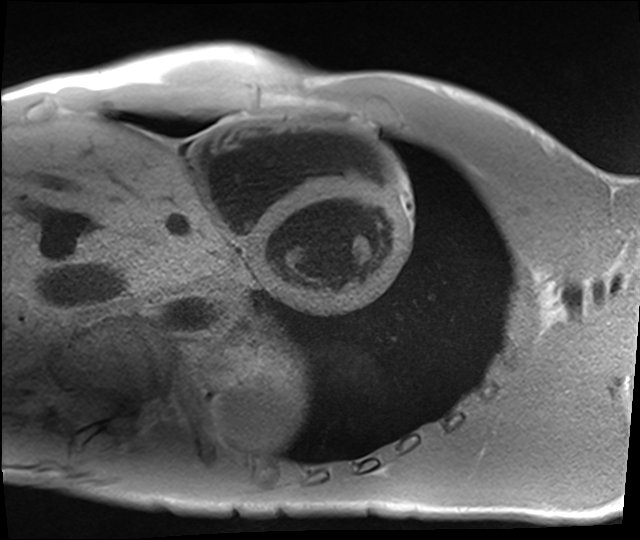
Q: What kind of scan is this?
A: Cardiac MRI.
Subject group: healthy volunteer.